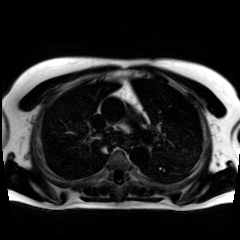
Case summary:
Chemical-shift-encoded cardiac MRI.